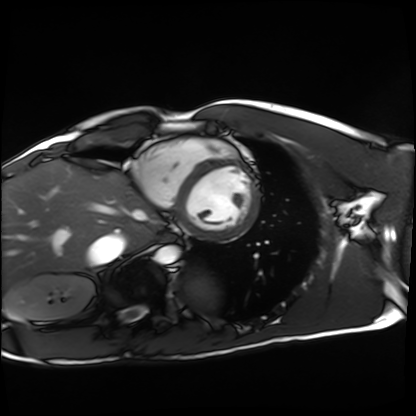
Summary: Cardiac MRI. Subject group: healthy volunteer.